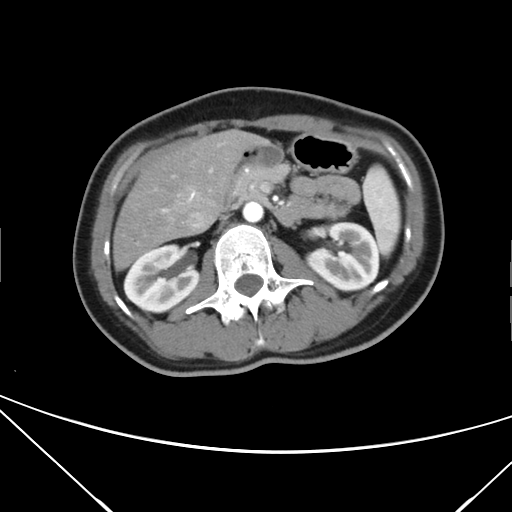
modality:
  type: multiphase abdominal CT
  region: liver
  phase: arterial
patient:
  sex: female
  age: 39